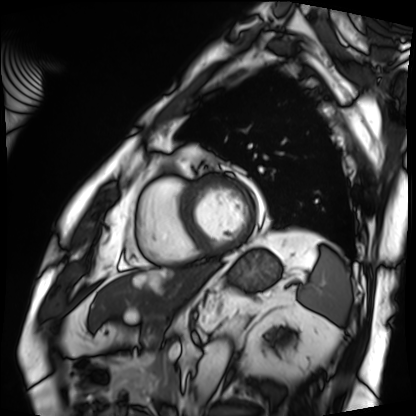
modality: cardiac MRI
cohort: patient